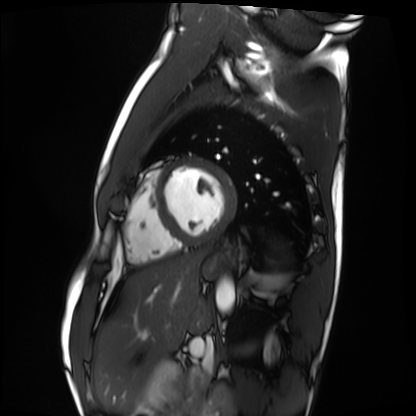
• modality — cardiac MRI
• subject group — healthy volunteer